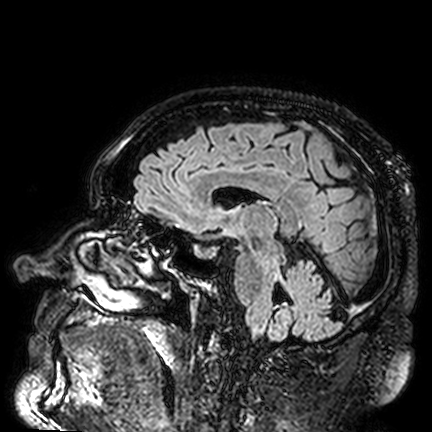
Case summary:
3 Tesla brain MRI. Study: ring-enhancing brain masses.